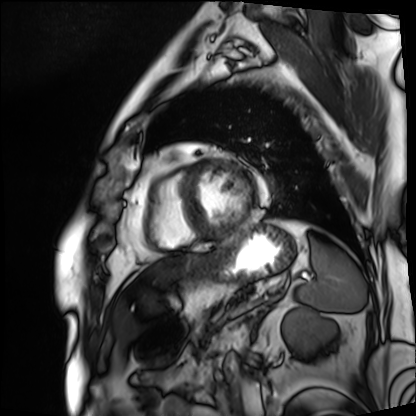
modality — cardiac MRI | subject group — patient.